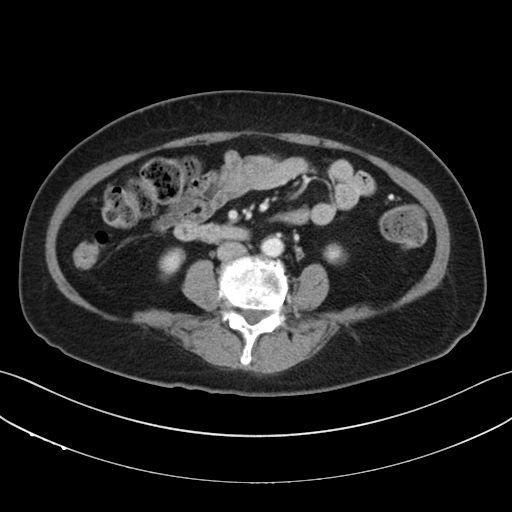
• modality: multiphase abdominal CT, liver, portal venous phase
• patient: female, age 67
• history: prior chemotherapy